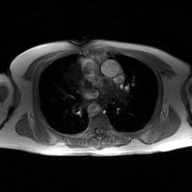
modality:
  type: 2D phase-contrast cine MRI
  region: ascending aorta
  reconstruction: GAN super-resolution reconstruction